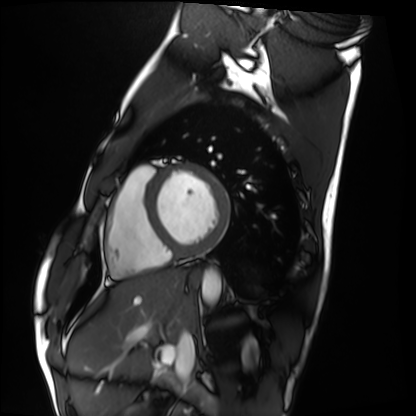
  modality: cardiac MRI
  cohort: healthy volunteer